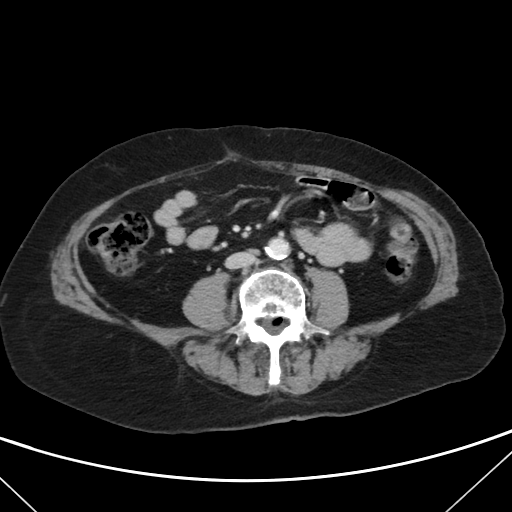
Multiphase abdominal CT, liver, portal venous phase. Patient: female, age 74. History: viral hepatitis.